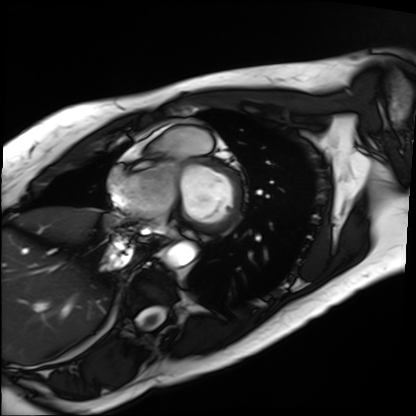
{
  "modality": "cardiac MRI",
  "cohort": "patient"
}